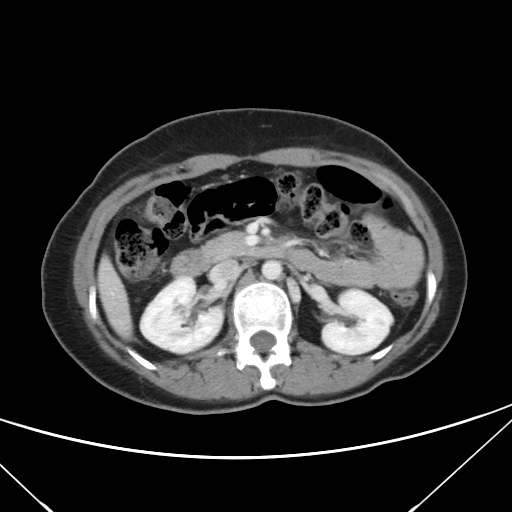
modality = multiphase abdominal CT, liver, portal venous phase | patient = female, age 43.